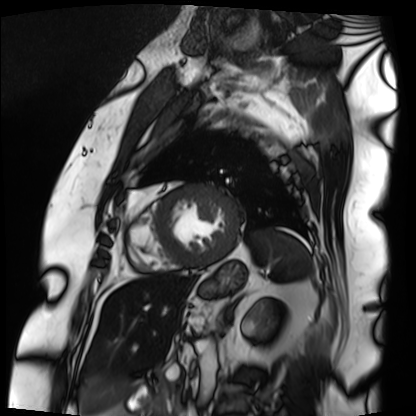
Cardiac MRI. Subject group: patient.